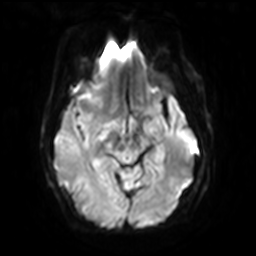
Q: What kind of scan is this?
A: 3 Tesla brain MRI.
Q: Series?
A: Diffusion-weighted imaging with SENSE (WIP).
Study: ring-enhancing brain masses.